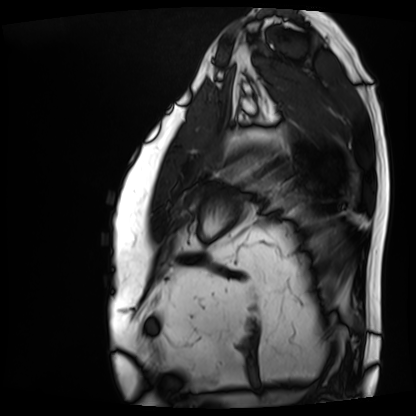
modality: cardiac MRI, subject group: patient.